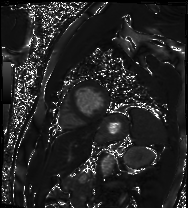
| field | value |
|---|---|
| modality | cardiac MRI |
| subject group | patient |